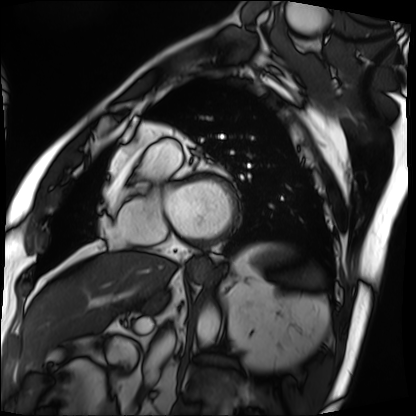
Cardiac MRI.
Subject group: patient.